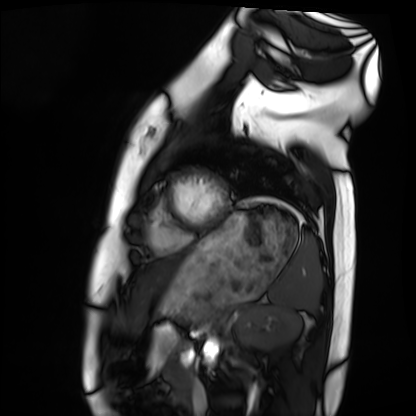
| field | value |
|---|---|
| modality | cardiac MRI |
| subject group | healthy volunteer |